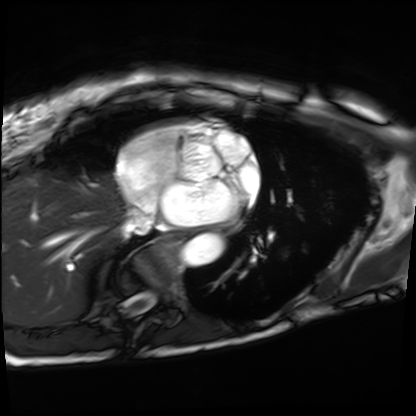
- modality: cardiac MRI
- subject group: patient